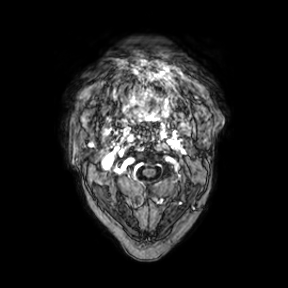
Q: What kind of scan is this?
A: 3 Tesla brain MRI.
Q: Series?
A: Axial.
Study: ring-enhancing brain masses.